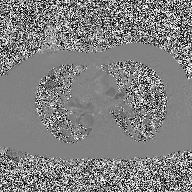
Case summary: 2D phase-contrast cine MRI of the ascending aorta, high-resolution GRAPPA acquisition.